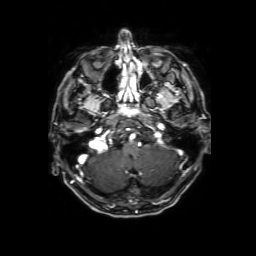
Q: What kind of scan is this?
A: 3 Tesla brain MRI.
Q: Series?
A: 3D T1-weighted with SENSE.
Study: ring-enhancing brain masses.